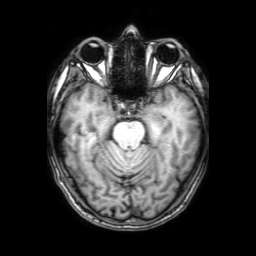
modality: 3 Tesla brain MRI | study: ring-enhancing brain masses.